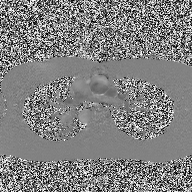
2D phase-contrast cine MRI of the ascending aorta, high-resolution GRAPPA acquisition.